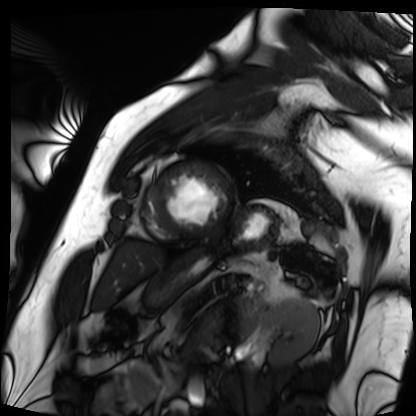
Q: What kind of scan is this?
A: Cardiac MRI.
Subject group: patient.